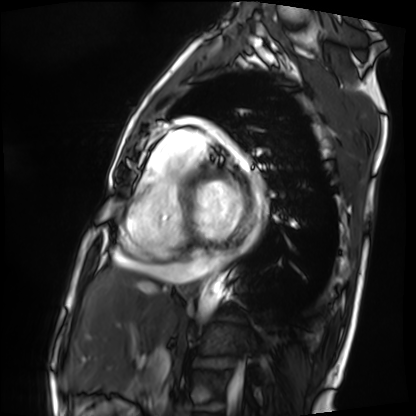
modality: cardiac MRI
cohort: patient